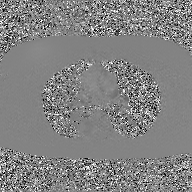
2D phase-contrast cine MRI of the ascending aorta, GAN super-resolution reconstruction.